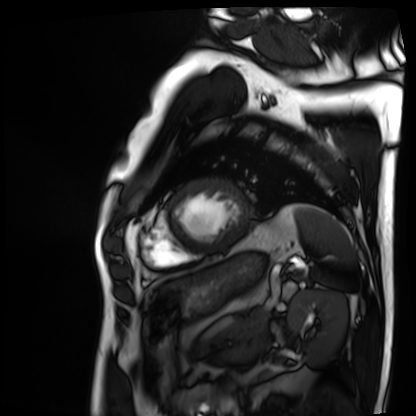
| field | value |
|---|---|
| modality | cardiac MRI |
| subject group | patient |